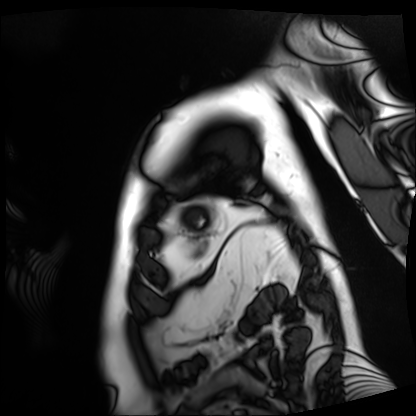
modality=cardiac MRI | subject group=patient.